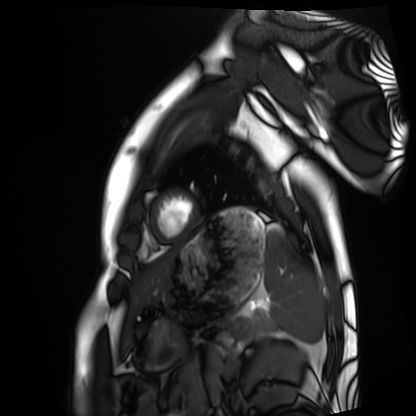
| field | value |
|---|---|
| modality | cardiac MRI |
| subject group | healthy volunteer |